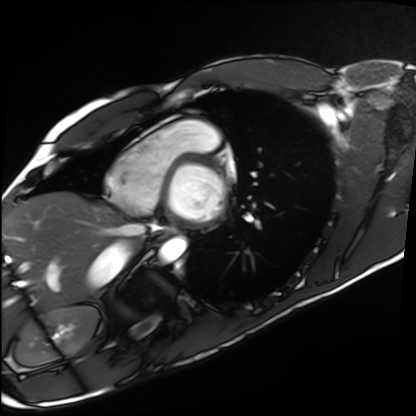
Cardiac MRI.
Subject group: healthy volunteer.